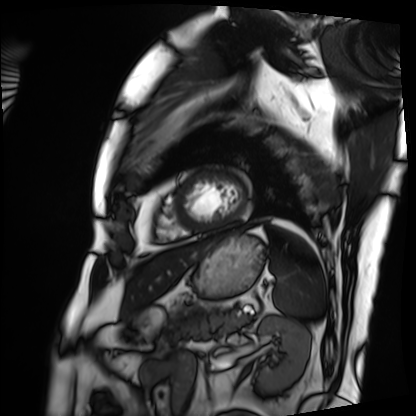
Cardiac MRI. Subject group: patient.